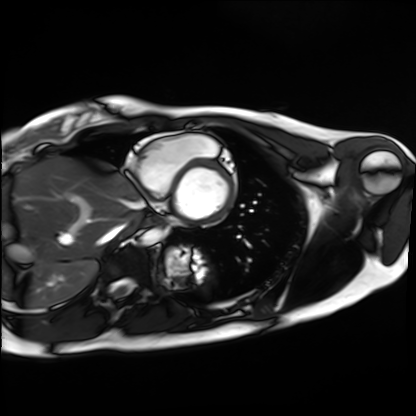
Cardiac MRI.
Subject group: healthy volunteer.